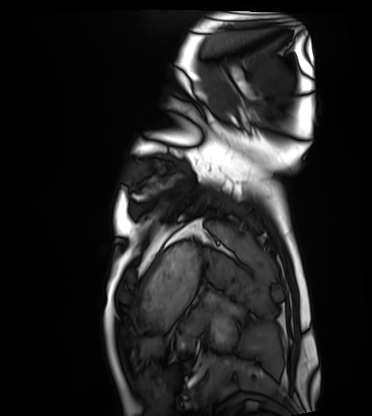
Clinical context:
Cardiac MRI. Subject group: healthy volunteer.